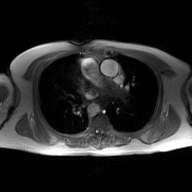
– modality · 2D phase-contrast cine MRI of the ascending aorta, GAN super-resolution reconstruction